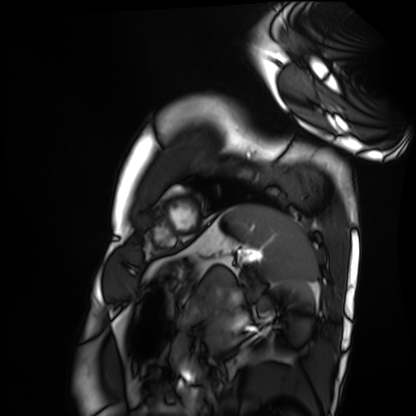
modality: cardiac MRI; subject group: healthy volunteer.